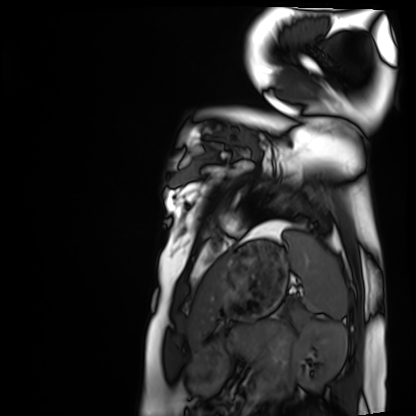
modality: cardiac MRI
cohort: healthy volunteer